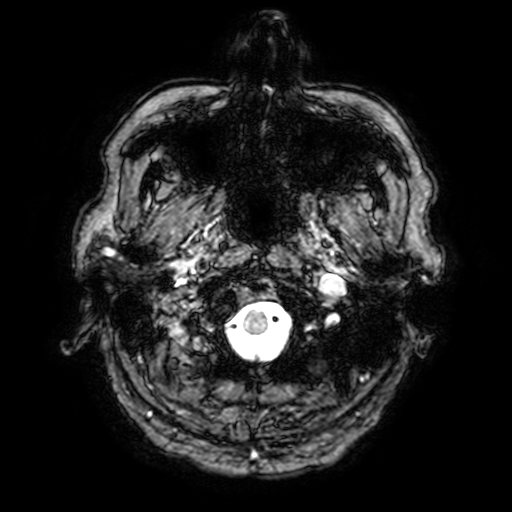
Clinical context: 3 Tesla brain MRI. Series: T2-weighted fast field echo with SENSE. Study: ring-enhancing brain masses.